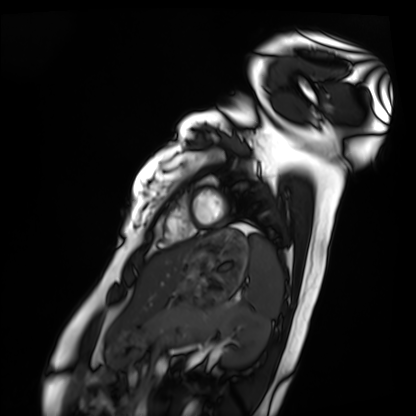
Cardiac MRI.
Subject group: healthy volunteer.